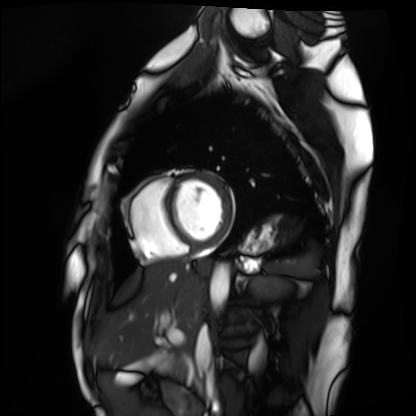
Summary: Cardiac MRI. Subject group: healthy volunteer.